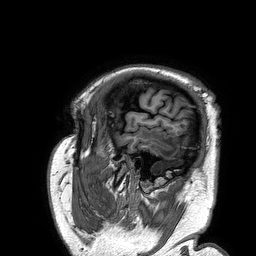
modality = 3 Tesla brain MRI
series = 3D T1-weighted turbo field echo
study = ring-enhancing brain masses